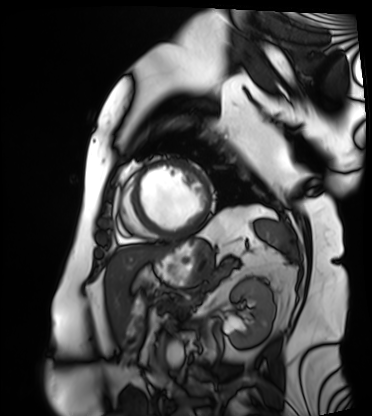
Case:
• modality · cardiac MRI
• subject group · patient